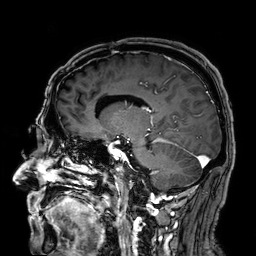
Case summary: 3 Tesla brain MRI. Series: 3D T1-weighted. Study: ring-enhancing brain masses.